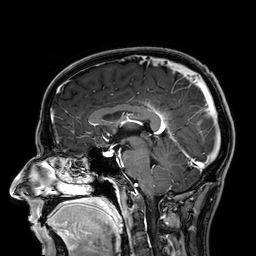
{
  "modality": {
    "type": "brain MRI",
    "field_strength": "3T"
  },
  "series": "3D T1-weighted",
  "study_topic": "ring-enhancing brain masses"
}